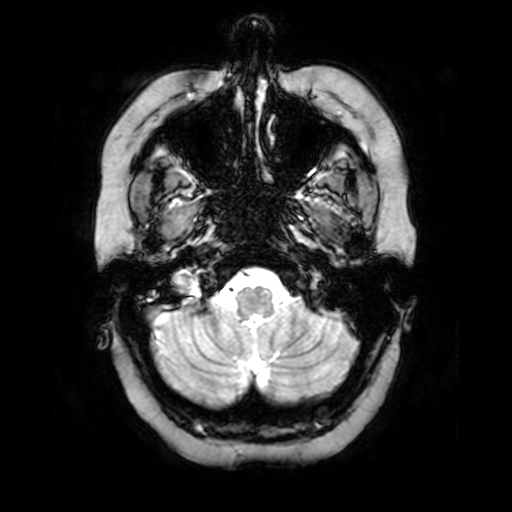
3 Tesla brain MRI. Series: T2-weighted fast field echo. Study: ring-enhancing brain masses.